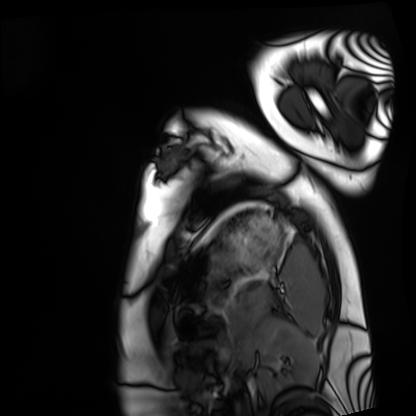
Q: What kind of scan is this?
A: Cardiac MRI.
Subject group: healthy volunteer.